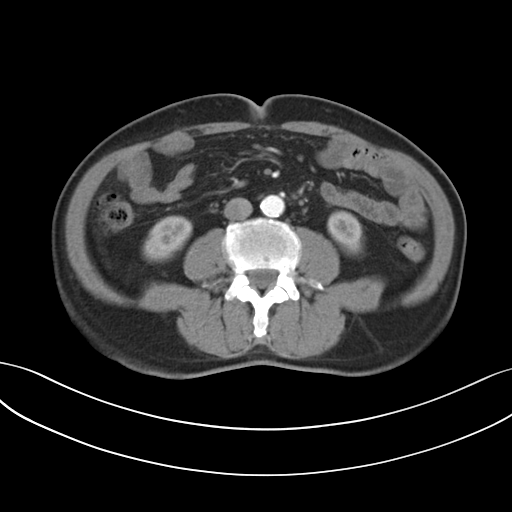
{"modality": {"type": "multiphase abdominal CT", "region": "liver", "phase": "arterial"}, "patient": {"sex": "male", "age": 73}}